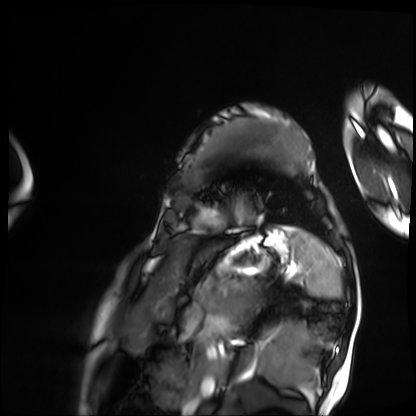
– modality: cardiac MRI
– subject group: patient